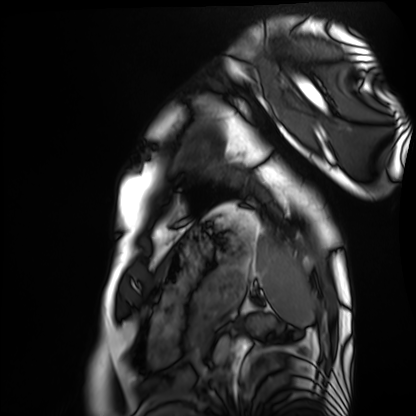
Q: What kind of scan is this?
A: Cardiac MRI.
Subject group: healthy volunteer.